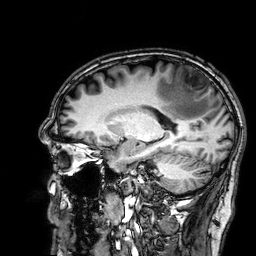
3 Tesla brain MRI. Series: 3D T1-weighted. Study: ring-enhancing brain masses.